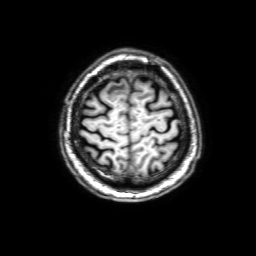
3 Tesla brain MRI. Series: 3D T1-weighted with SENSE. Study: ring-enhancing brain masses.